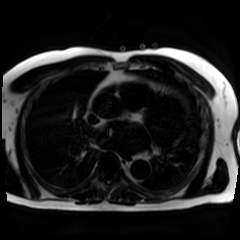
Summary: Chemical-shift-encoded cardiac MRI.